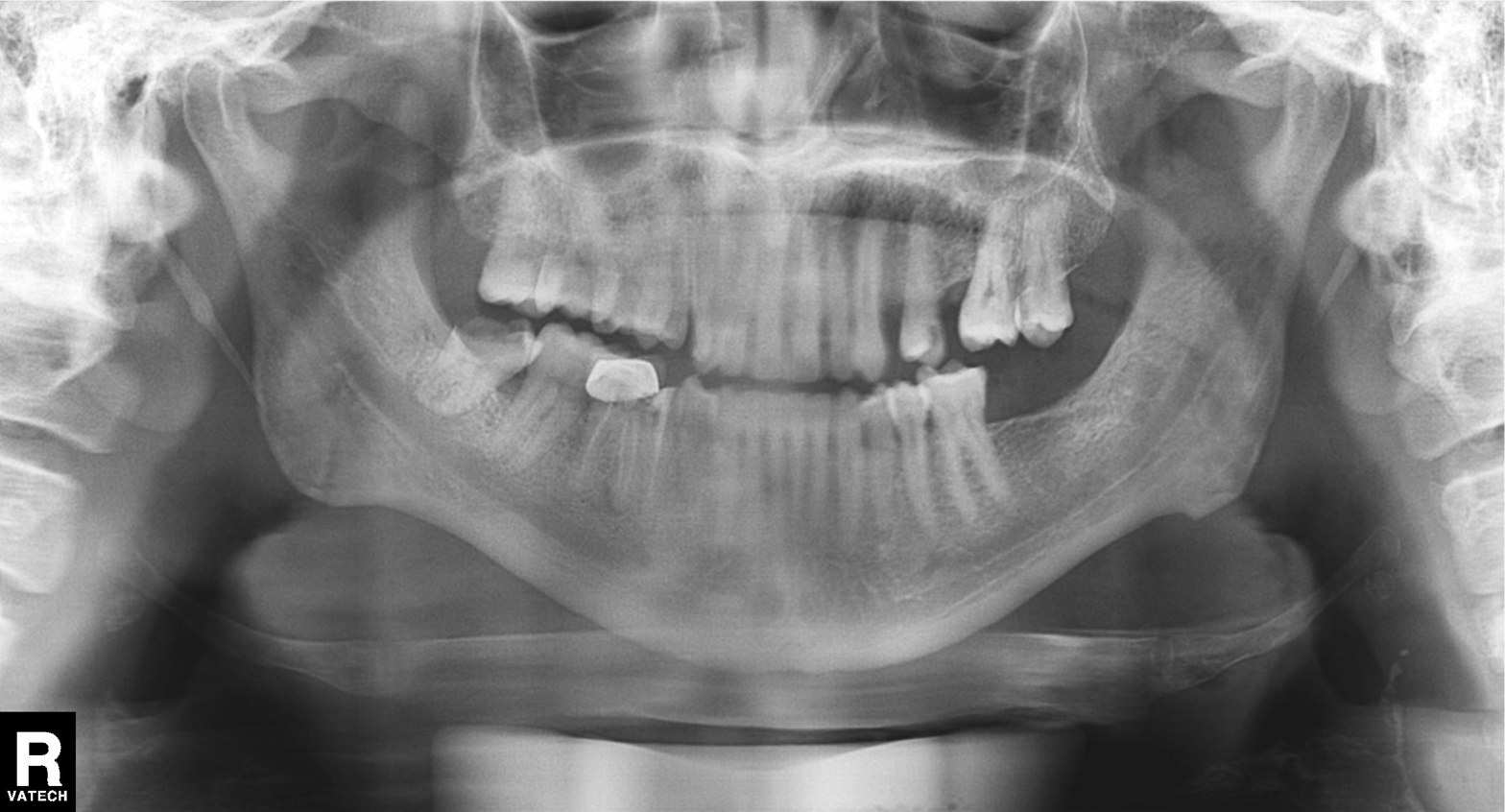
| feature | finding |
|---|---|
| modality | panoramic dental radiograph (orthopantomogram) |
| finding | tooth impaction |